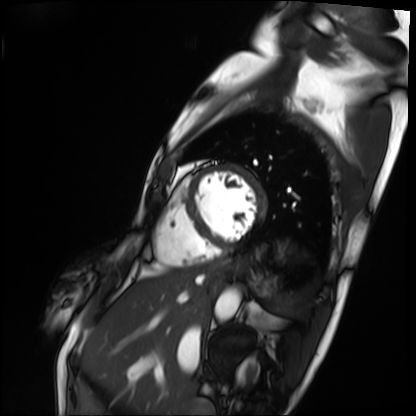
Case summary: Cardiac MRI. Subject group: patient.